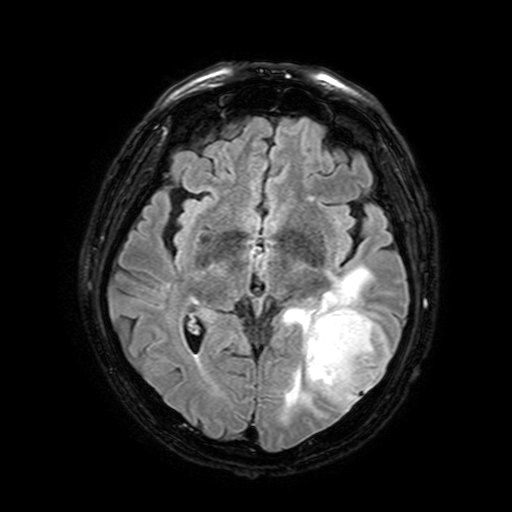
Summary:
3 Tesla brain MRI. Series: FLAIR with SPAIR, 3 mm. Study: ring-enhancing brain masses.